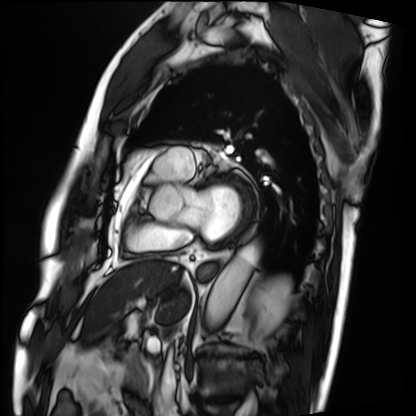
modality: cardiac MRI
cohort: patient